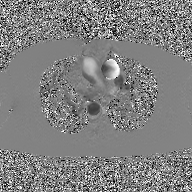
Summary:
2D phase-contrast cine MRI of the ascending aorta, GAN super-resolution reconstruction.